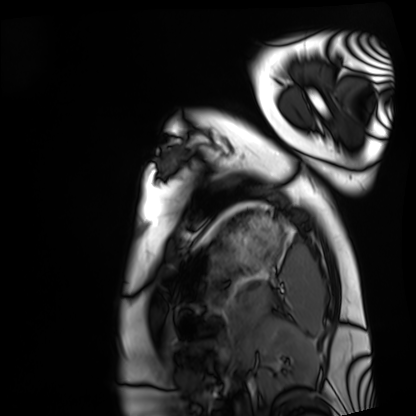
modality = cardiac MRI | subject group = healthy volunteer.